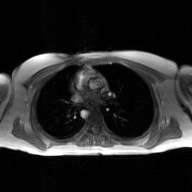
Q: What kind of scan is this?
A: 2D phase-contrast cine MRI of the ascending aorta, GAN super-resolution reconstruction.